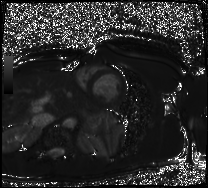
modality: cardiac MRI
subject group: healthy volunteer